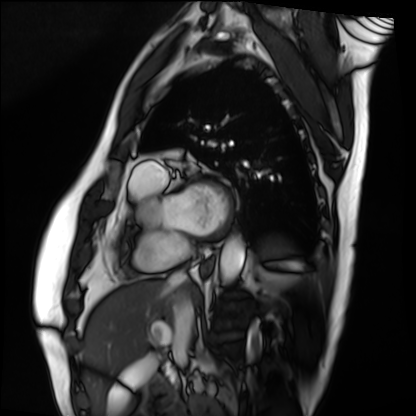
Cardiac MRI.
Subject group: patient.